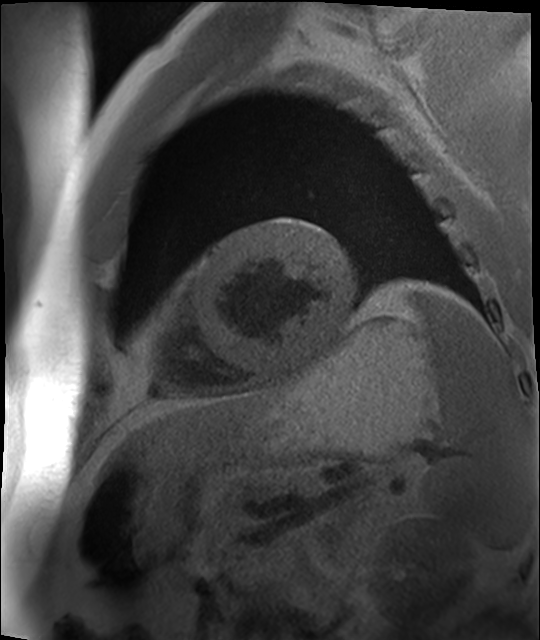
Cardiac MR image of the myocardium.
Subject cohort: cardiac patient.